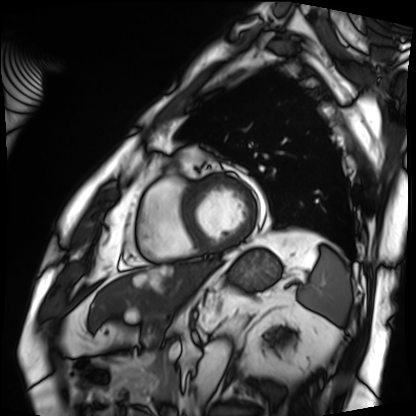
Summary: Cardiac MRI. Subject group: patient.